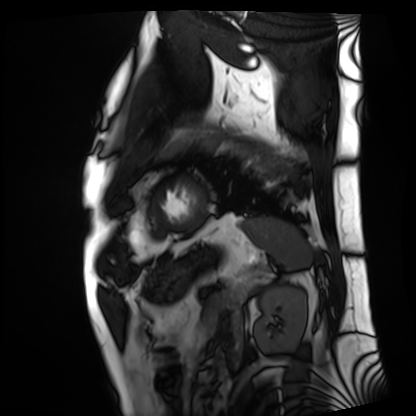
Cardiac MRI.
Subject group: patient.